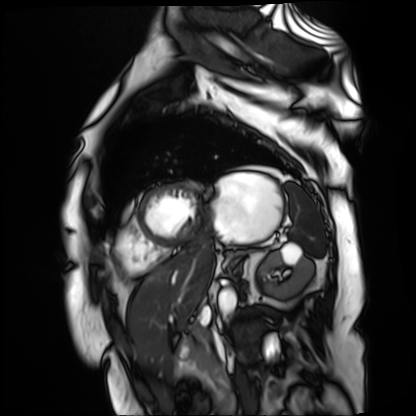
* modality · cardiac MR image of the myocardium
* subject cohort · cardiac patient